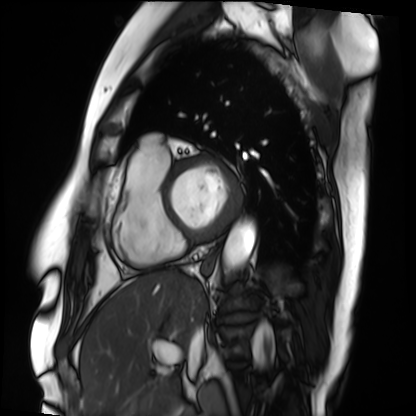
• modality — cardiac MRI
• subject group — patient